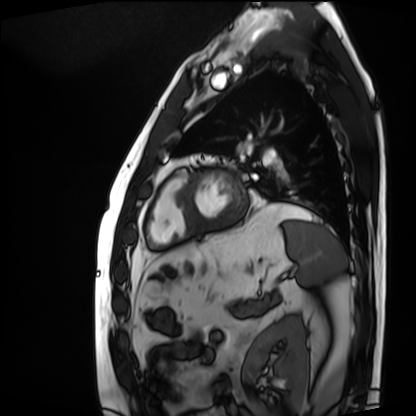
{
  "modality": "cardiac MRI",
  "cohort": "patient"
}